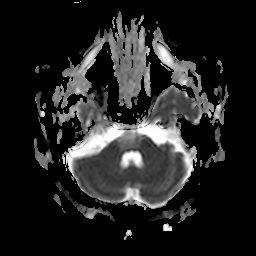
Q: What kind of scan is this?
A: 3 Tesla brain MRI.
Q: Series?
A: Apparent diffusion coefficient (ADC) map.
Study: ring-enhancing brain masses.